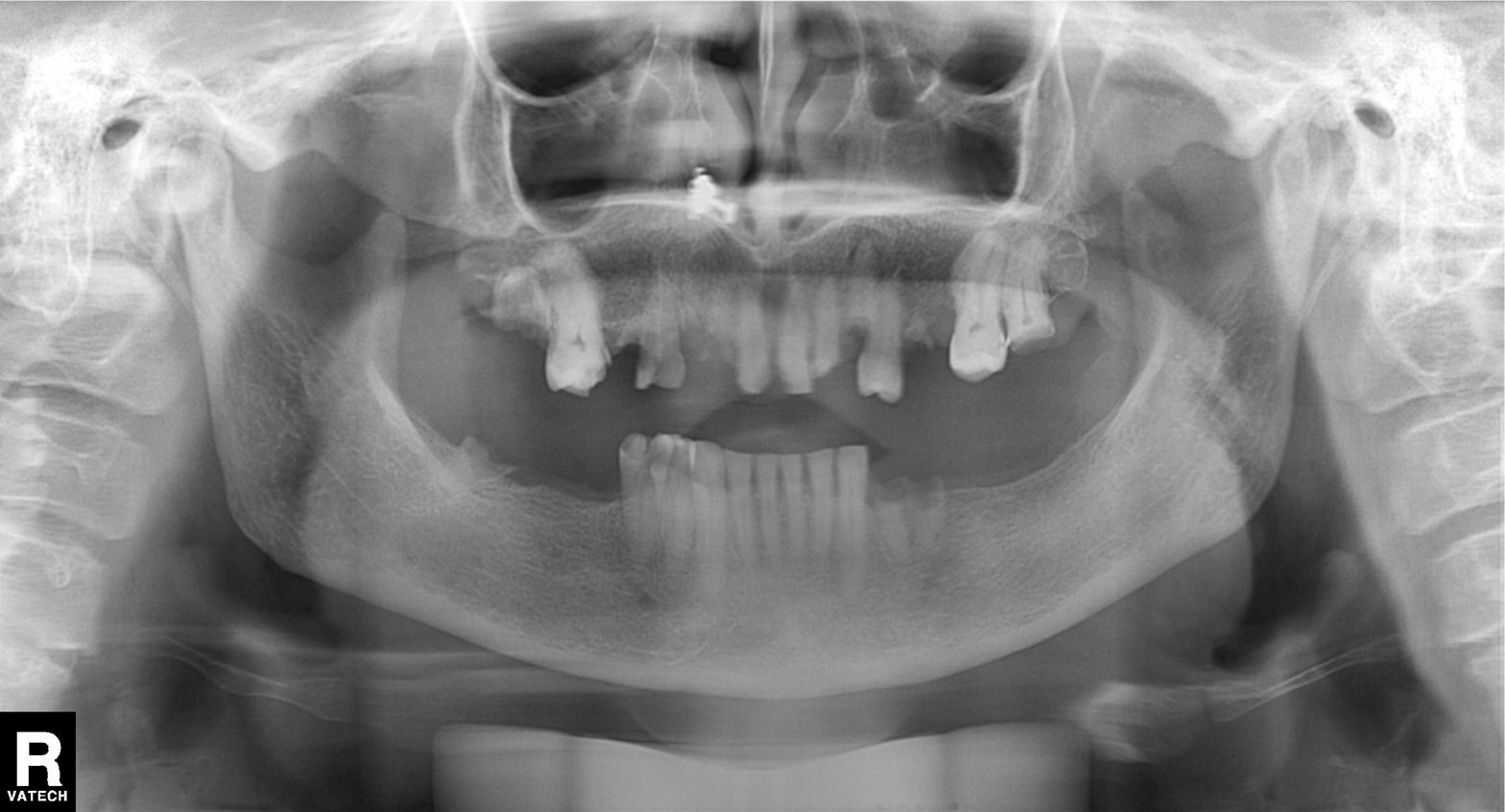
Panoramic dental radiograph (orthopantomogram). Finding: dental caries (cavities).